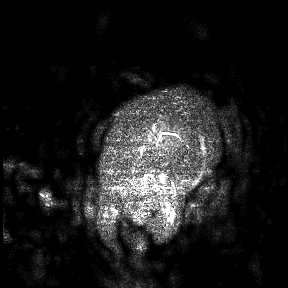
3 Tesla brain MRI.
Study: ring-enhancing brain masses.